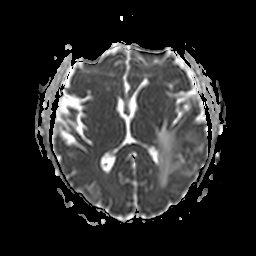
modality — 3 Tesla brain MRI
series — apparent diffusion coefficient (ADC) map
study — ring-enhancing brain masses